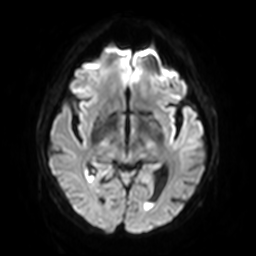
3 Tesla brain MRI.
Series: diffusion-weighted imaging with SENSE (WIP).
Study: ring-enhancing brain masses.